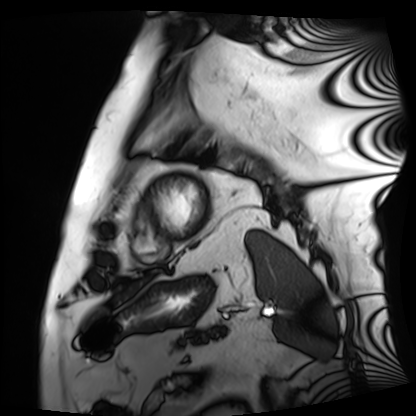
Case:
• modality · cardiac MRI
• subject group · patient